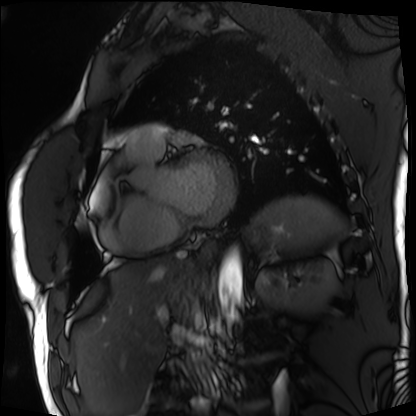
modality: cardiac MRI; subject group: patient.